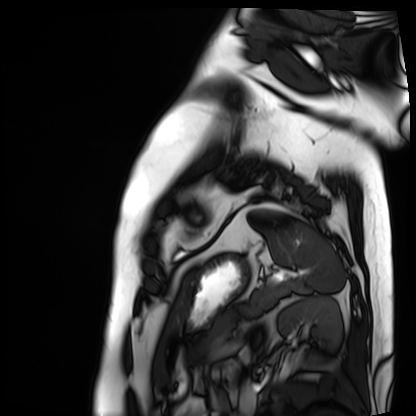
– modality: cardiac MRI
– subject group: patient